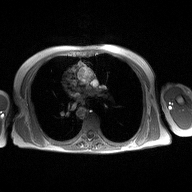
• modality · 2D phase-contrast cine MRI of the ascending aorta